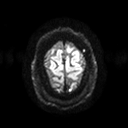
3 Tesla brain MRI. Series: diffusion tensor imaging (medium iso). Study: ring-enhancing brain masses.